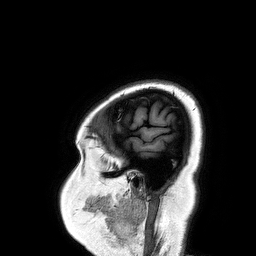
3 Tesla brain MRI. Study: ring-enhancing brain masses.